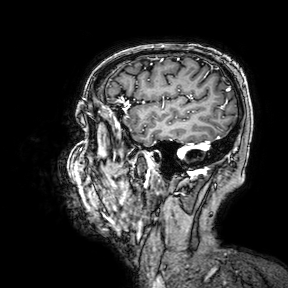
3 Tesla brain MRI.
Series: 3D T1-weighted turbo field echo with SENSE.
Study: ring-enhancing brain masses.